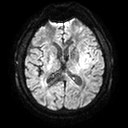
{"modality": {"type": "brain MRI", "field_strength": "3T"}, "study_topic": "ring-enhancing brain masses"}